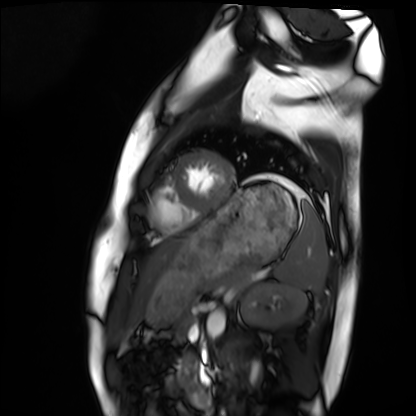
{"modality": "cardiac MRI", "cohort": "healthy volunteer"}